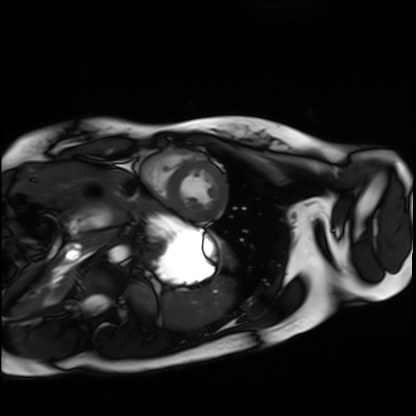
Cardiac MRI.
Subject group: healthy volunteer.